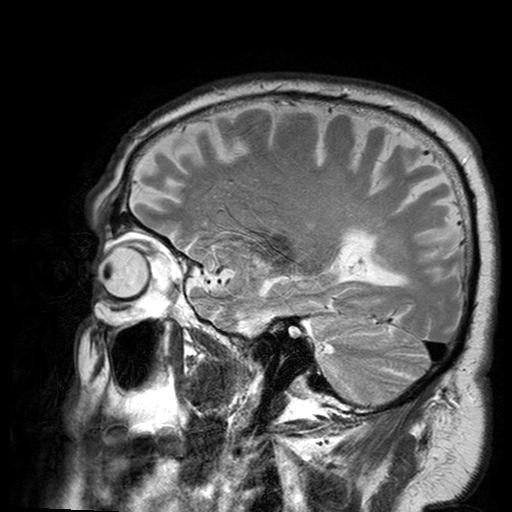
Summary:
3 Tesla brain MRI. Series: T2-weighted turbo spin echo with SENSE. Study: ring-enhancing brain masses.